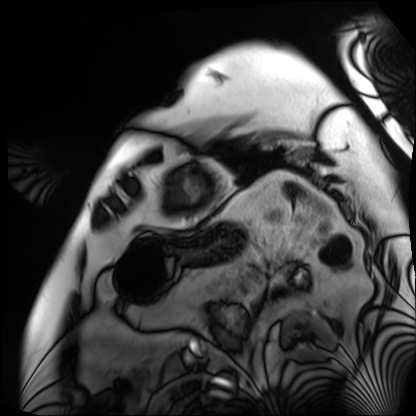
| field | value |
|---|---|
| modality | cardiac MRI |
| subject group | patient |